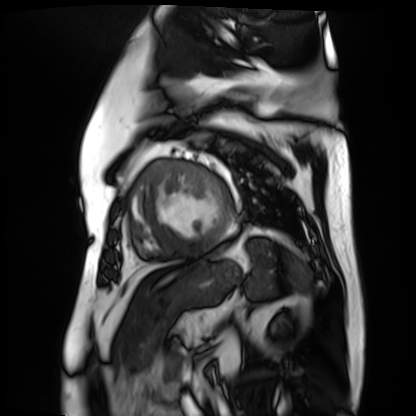
modality = cardiac MR image of the myocardium
subject cohort = cardiac patient